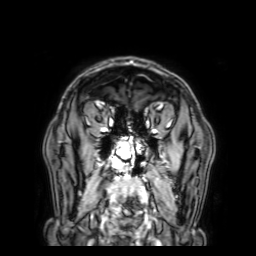
modality = 3 Tesla brain MRI | series = 3D T1-weighted with SENSE | study = ring-enhancing brain masses.